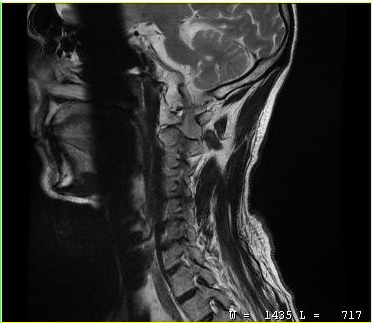
{"modality": {"type": "cervical spine MRI"}, "study_topic": "cervical spondylosis"}